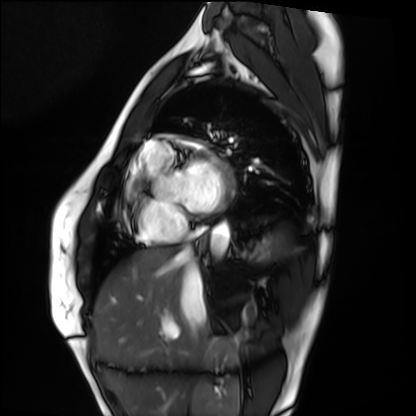
{"modality": "cardiac MRI", "cohort": "healthy volunteer"}